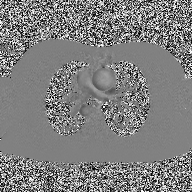
2D phase-contrast cine MRI of the ascending aorta, high-resolution GRAPPA acquisition.